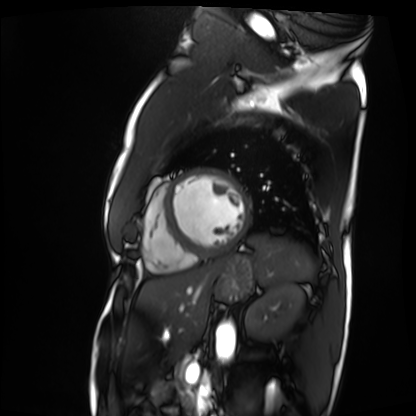
Cardiac MRI.
Subject group: patient.